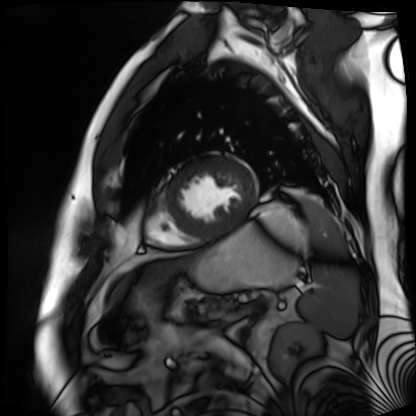
<scan>
<modality>cardiac MR image of the myocardium</modality>
<cohort>cardiac patient</cohort>
</scan>